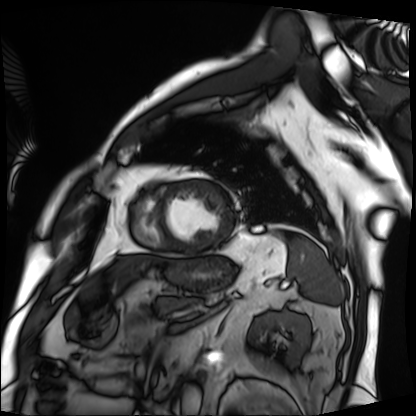
Cardiac MRI. Subject group: patient.